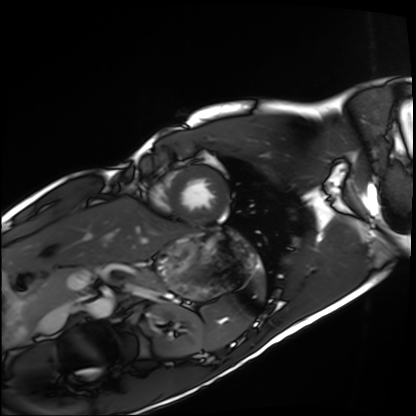
{
  "modality": "cardiac MRI",
  "cohort": "healthy volunteer"
}